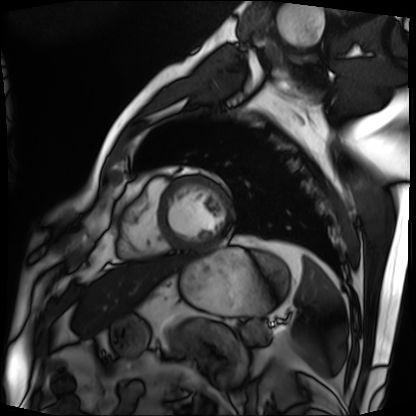
<record>
  <modality>cardiac MRI</modality>
  <cohort>patient</cohort>
</record>